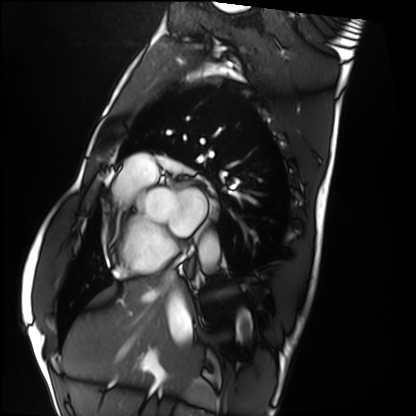
modality: cardiac MRI, subject group: healthy volunteer.